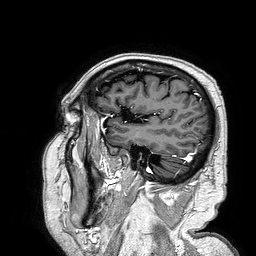
Clinical context: 3 Tesla brain MRI. Series: 3D T1-weighted turbo field echo. Study: ring-enhancing brain masses.